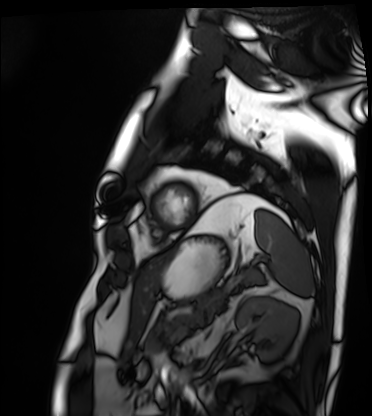
Cardiac MRI. Subject group: patient.